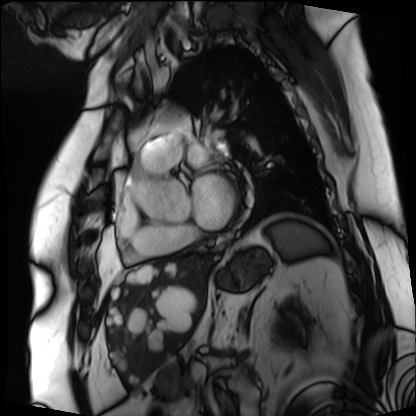
- modality: cardiac MRI
- subject group: patient